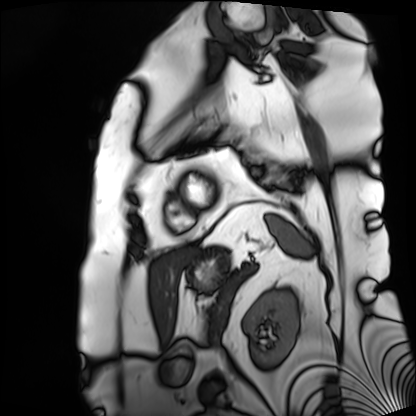
Cardiac MRI. Subject group: patient.